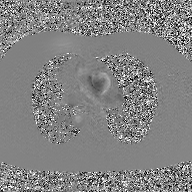
{
  "modality": {
    "type": "2D phase-contrast cine MRI",
    "region": "ascending aorta",
    "reconstruction": "GAN super-resolution reconstruction"
  }
}